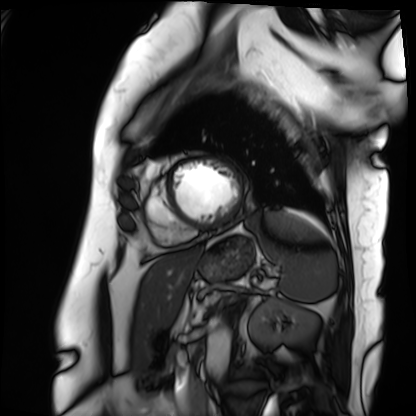
Cardiac MRI.
Subject group: patient.